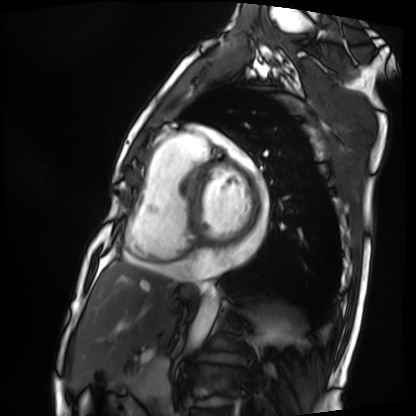
<record>
  <modality>cardiac MRI</modality>
  <cohort>patient</cohort>
</record>